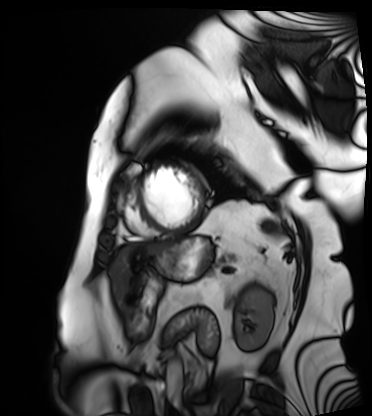
Summary: Cardiac MRI. Subject group: patient.